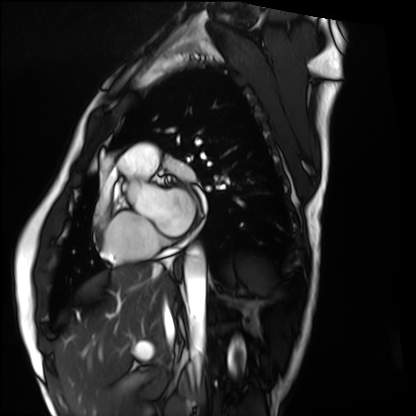
Q: What kind of scan is this?
A: Cardiac MRI.
Subject group: healthy volunteer.